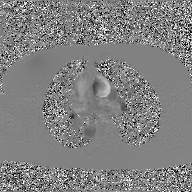
Case:
* modality — 2D phase-contrast cine MRI of the ascending aorta, GAN super-resolution reconstruction